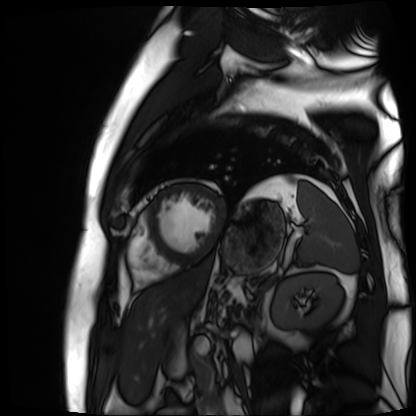
Clinical context: Cardiac MR image of the myocardium. Subject cohort: cardiac patient.